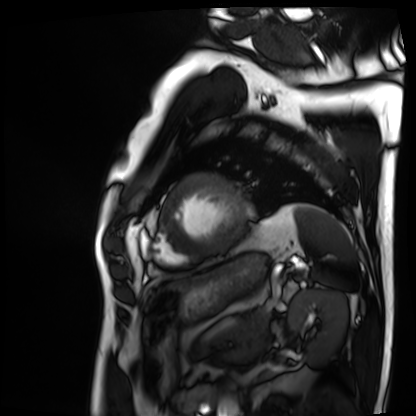
Cardiac MRI. Subject group: patient.